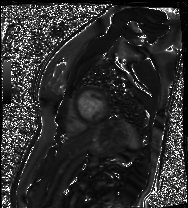
Cardiac MR image of the myocardium.
Subject cohort: healthy volunteer.